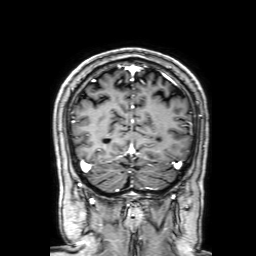
modality: 3 Tesla brain MRI | series: 3D T1-weighted with SENSE | study: ring-enhancing brain masses.